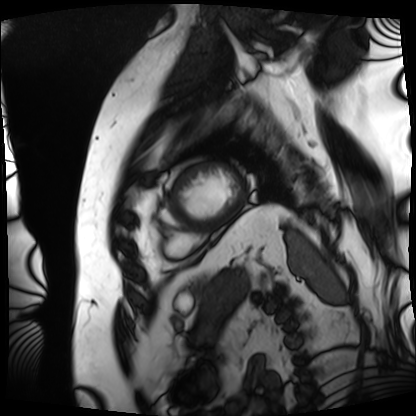
Clinical context: Cardiac MRI. Subject group: patient.